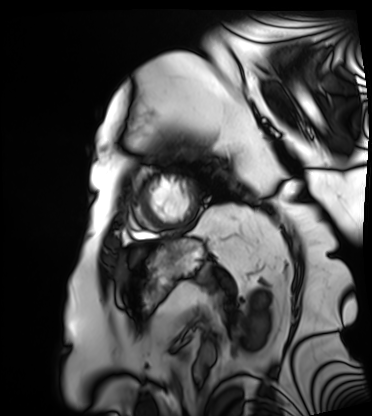
Clinical context:
Cardiac MRI. Subject group: patient.